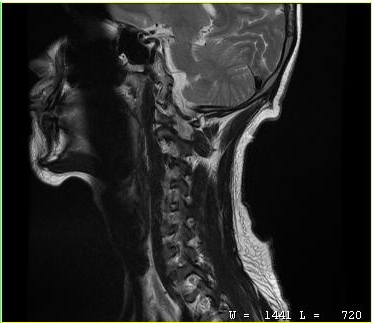
modality = MRI of the cervical spine
study = cervical spondylosis